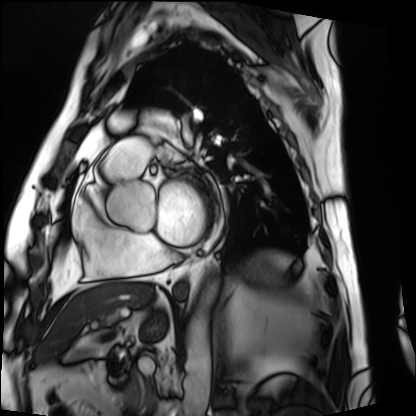
Summary: Cardiac MRI. Subject group: patient.